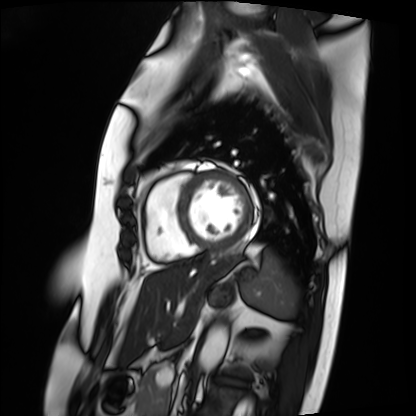
<case>
<modality>cardiac MRI</modality>
<cohort>patient</cohort>
</case>